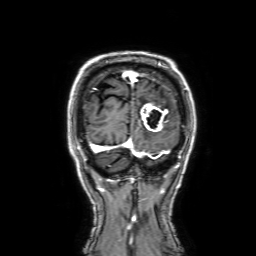
• modality — 3 Tesla brain MRI
• series — 3D T1-weighted with SENSE
• study — ring-enhancing brain masses